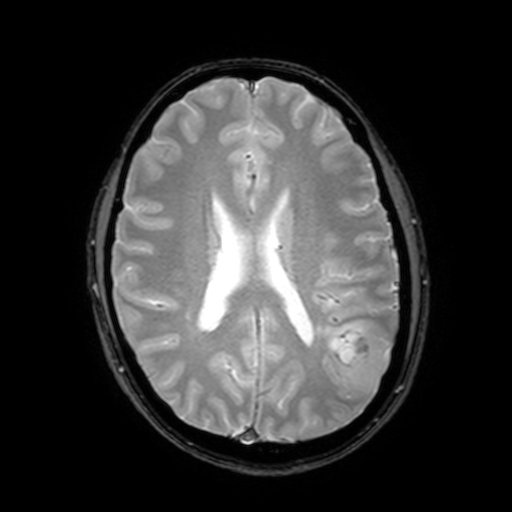
modality — 3 Tesla brain MRI; series — T2-weighted fast field echo with SENSE; study — ring-enhancing brain masses.